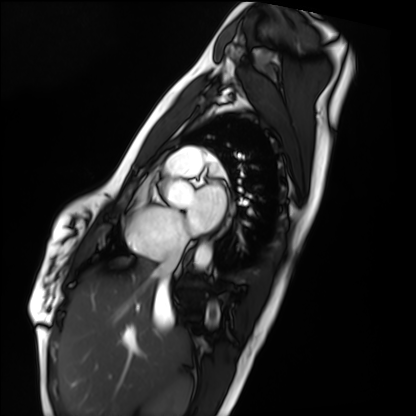
Q: What kind of scan is this?
A: Cardiac MRI.
Subject group: healthy volunteer.